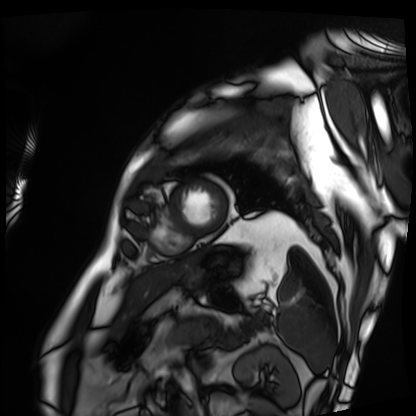
Cardiac MRI. Subject group: patient.